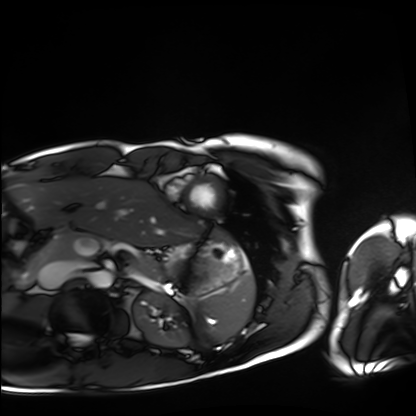
Summary: Cardiac MRI. Subject group: healthy volunteer.